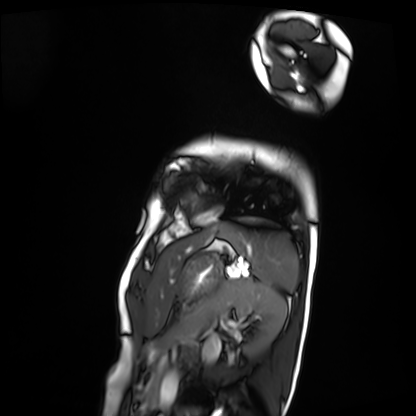
Cardiac MRI.
Subject group: patient.